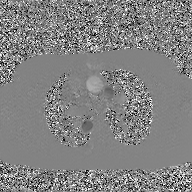
2D phase-contrast cine MRI of the ascending aorta, GAN super-resolution reconstruction.